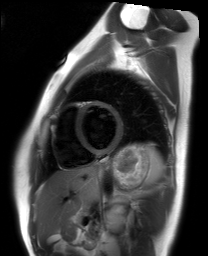
Q: What kind of scan is this?
A: Cardiac MRI.
Subject group: healthy volunteer.